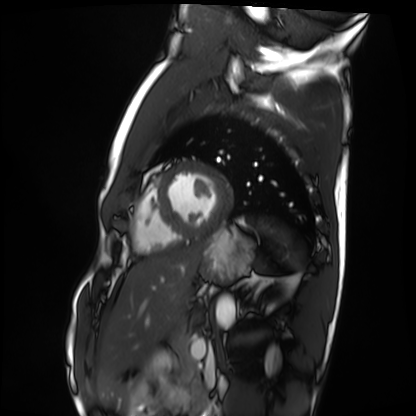
modality: cardiac MRI | subject group: healthy volunteer.